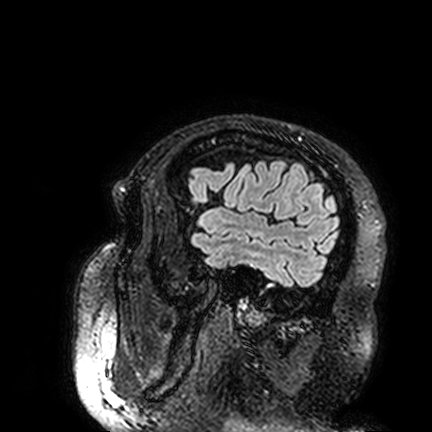
• modality — 3 Tesla brain MRI
• series — FLAIR VISTA
• study — ring-enhancing brain masses